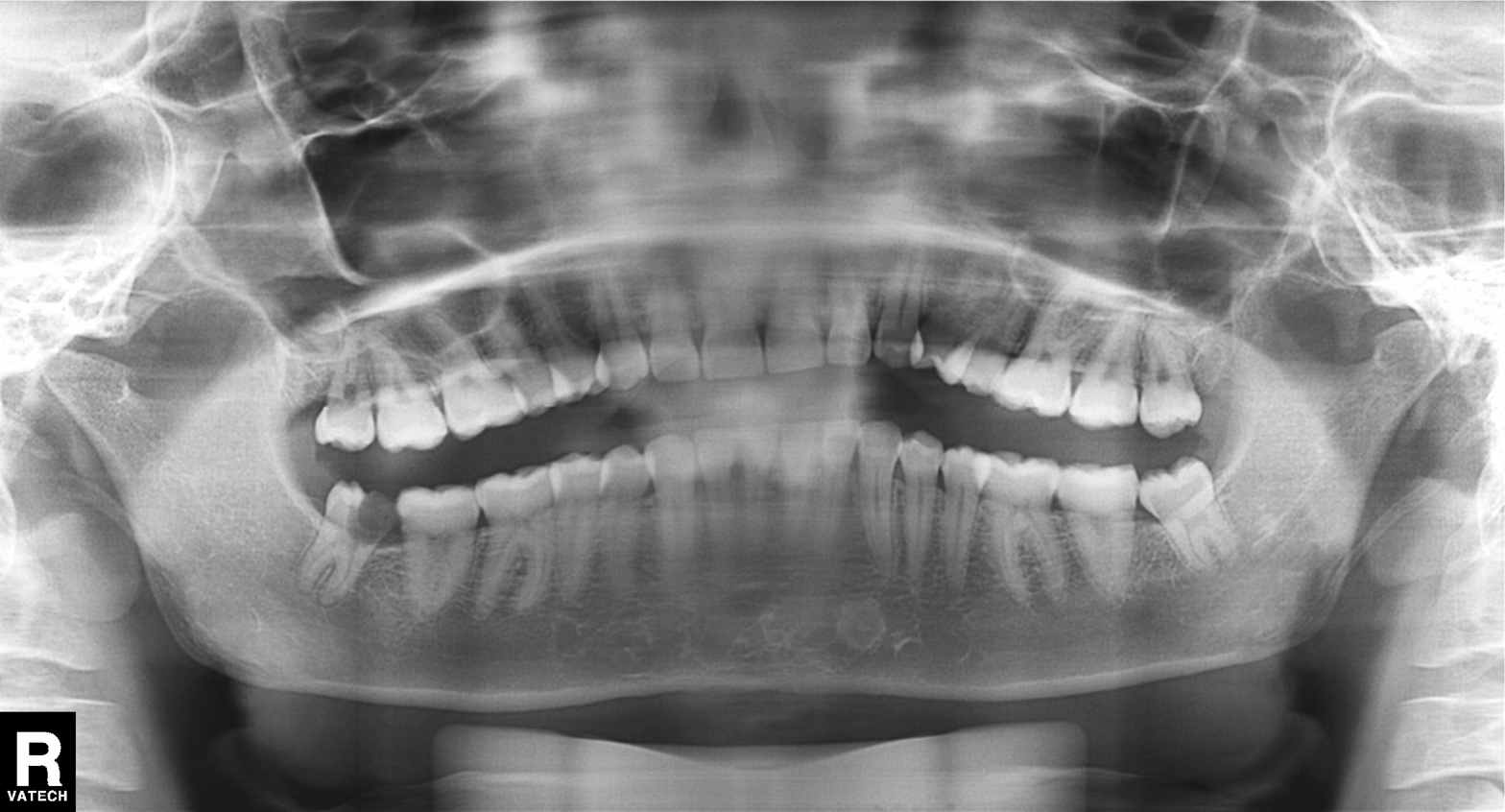
| feature | finding |
|---|---|
| modality | panoramic dental radiograph (orthopantomogram) |
| finding | alveolar bone loss |